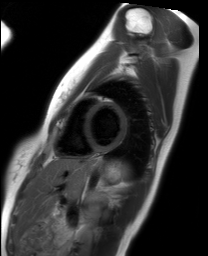
modality = cardiac MRI | subject group = healthy volunteer.